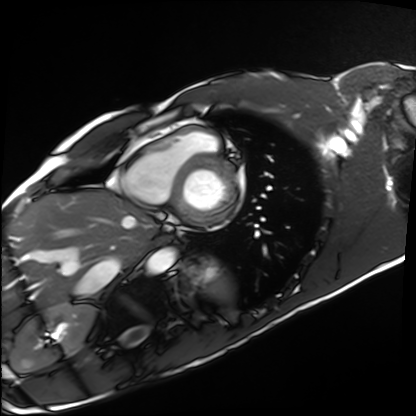
Q: What kind of scan is this?
A: Cardiac MRI.
Subject group: healthy volunteer.